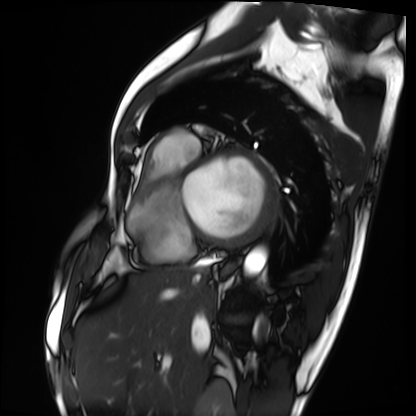
modality=cardiac MRI | subject group=patient.